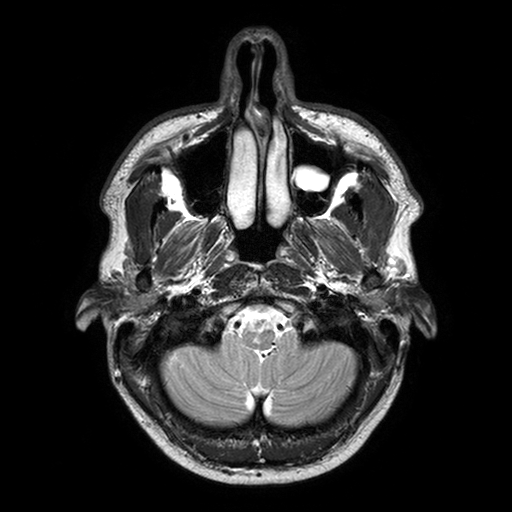
3 Tesla brain MRI.
Series: T2-weighted turbo spin echo with SENSE.
Study: ring-enhancing brain masses.